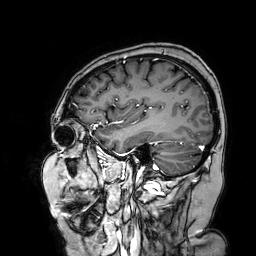
3 Tesla brain MRI. Series: 3D T1-weighted turbo field echo with SENSE. Study: ring-enhancing brain masses.